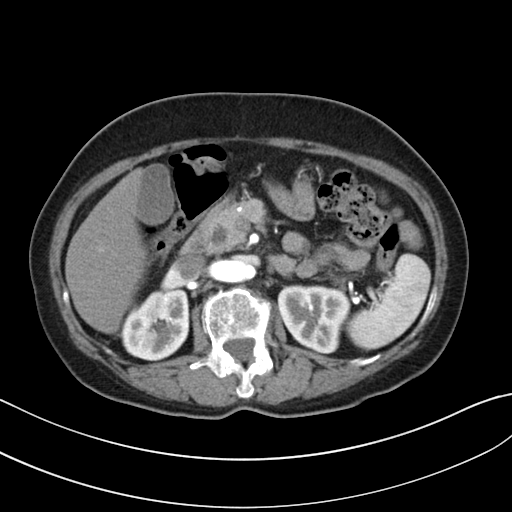
Multiphase abdominal CT, liver, arterial phase.
Patient: female, age 62.